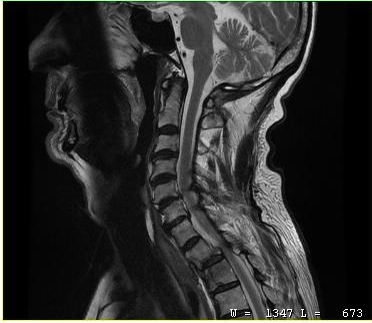
MRI of the cervical spine.
Study: cervical spondylosis.